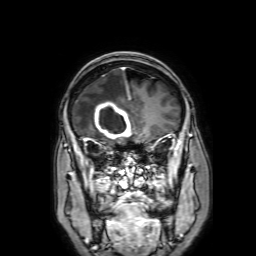
Clinical context:
3 Tesla brain MRI. Series: 3D T1-weighted with SENSE. Study: ring-enhancing brain masses.